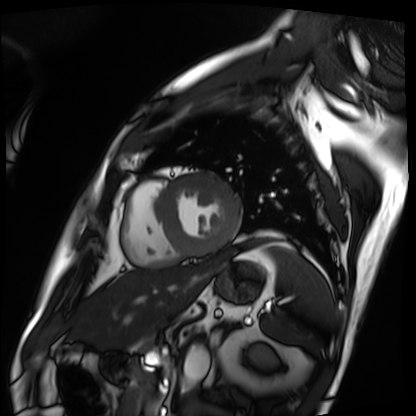
modality: cardiac MRI | subject group: patient.